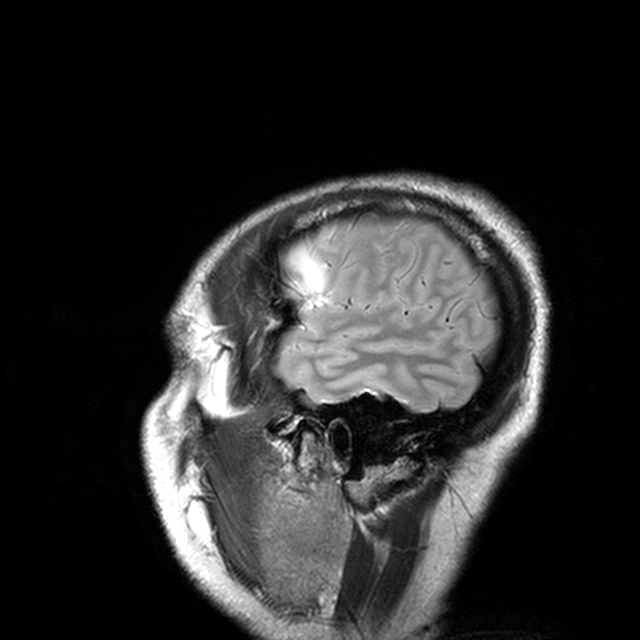
• modality: 3 Tesla brain MRI
• series: T2-weighted turbo spin echo with CLEAR
• study: ring-enhancing brain masses